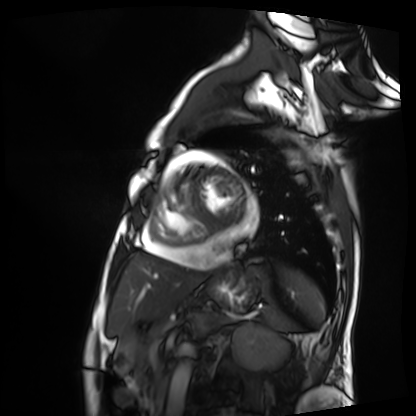
Cardiac MRI.
Subject group: patient.